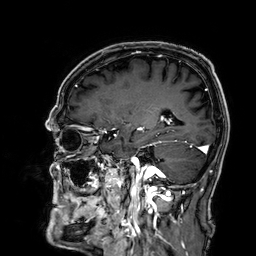
Summary: 3 Tesla brain MRI. Series: 3D T1-weighted. Study: ring-enhancing brain masses.